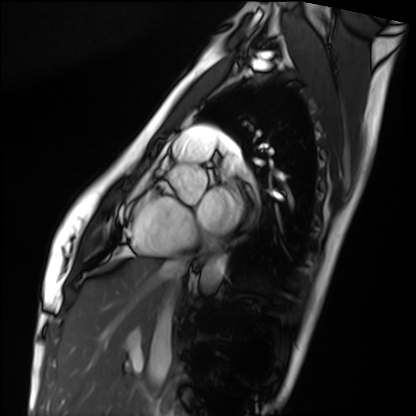
modality: cardiac MRI; subject group: healthy volunteer.